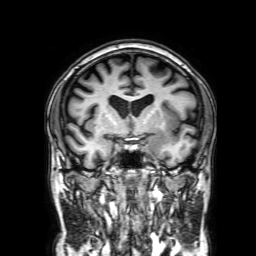
modality = 3 Tesla brain MRI
series = 3D T1-weighted with SENSE
study = ring-enhancing brain masses